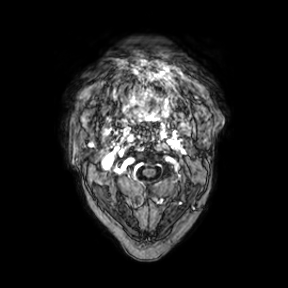
modality — 3 Tesla brain MRI
series — axial
study — ring-enhancing brain masses